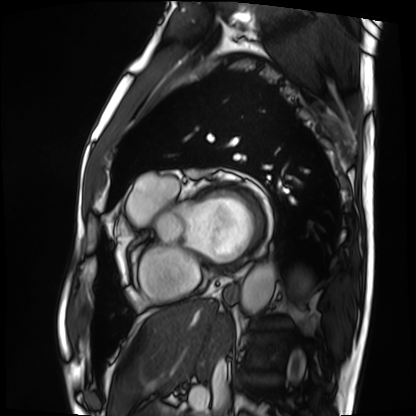
Q: What kind of scan is this?
A: Cardiac MRI.
Subject group: patient.